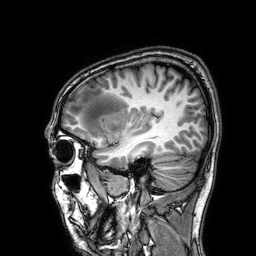
3 Tesla brain MRI.
Series: 3D T1-weighted.
Study: ring-enhancing brain masses.